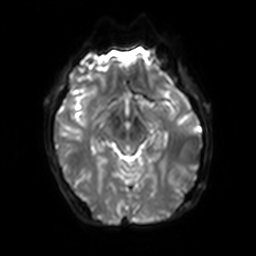
3 Tesla brain MRI.
Series: diffusion-weighted imaging with SENSE (WIP).
Study: ring-enhancing brain masses.